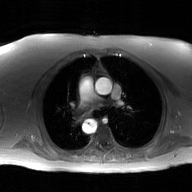
2D phase-contrast cine MRI of the ascending aorta, GAN super-resolution reconstruction.